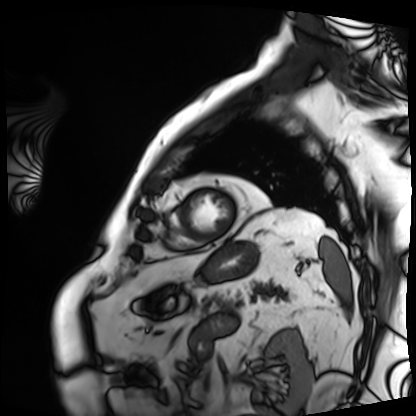
modality: cardiac MRI; subject group: patient.